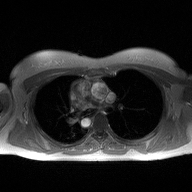
Summary:
2D phase-contrast cine MRI of the ascending aorta, high-resolution GRAPPA acquisition.